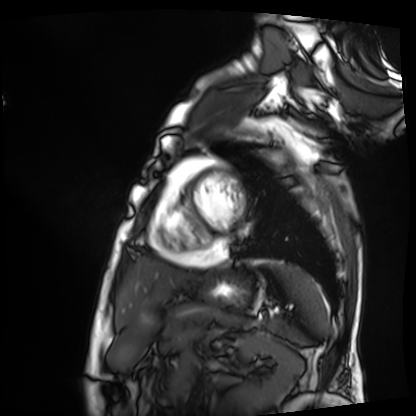
Q: What kind of scan is this?
A: Cardiac MRI.
Subject group: patient.